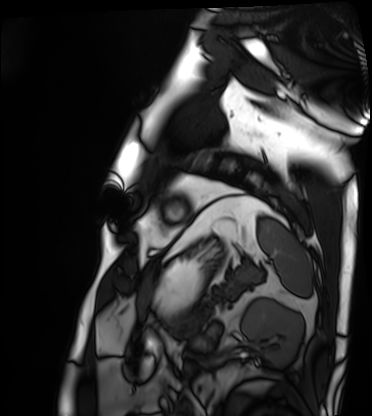
| field | value |
|---|---|
| modality | cardiac MRI |
| subject group | patient |